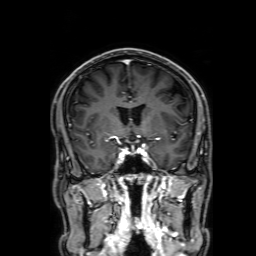
3 Tesla brain MRI. Series: 3D T1-weighted with SENSE. Study: ring-enhancing brain masses.